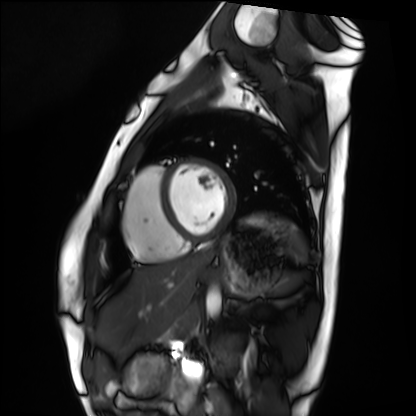
Cardiac MRI.
Subject group: healthy volunteer.